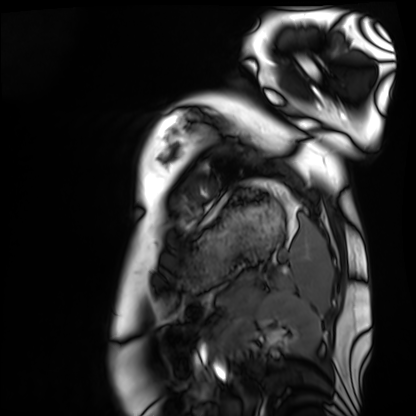
Summary:
Cardiac MRI. Subject group: healthy volunteer.